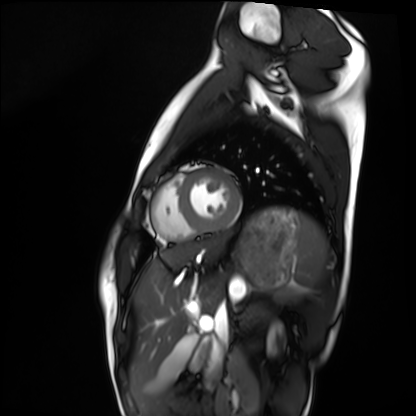
Case:
- modality: cardiac MRI
- subject group: healthy volunteer